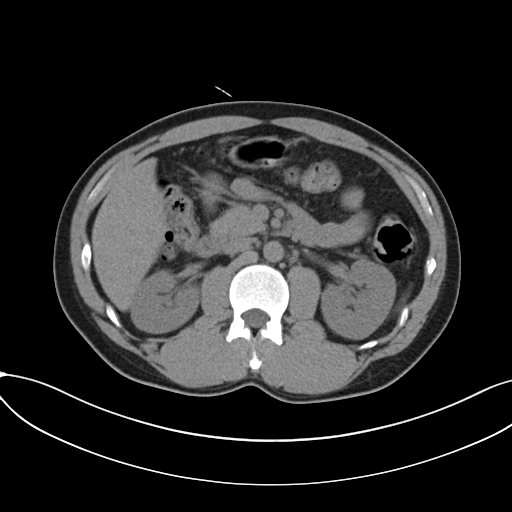
modality — multiphase abdominal CT, liver, non-contrast phase
patient — male, age 36